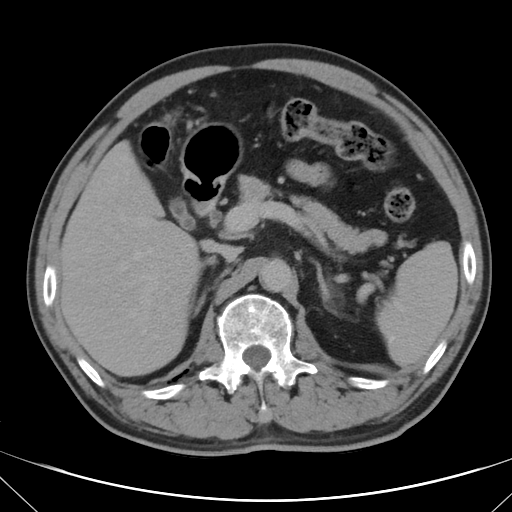
Multiphase abdominal CT, liver, delayed phase. Patient: male, age 62. History: cirrhosis, viral hepatitis.